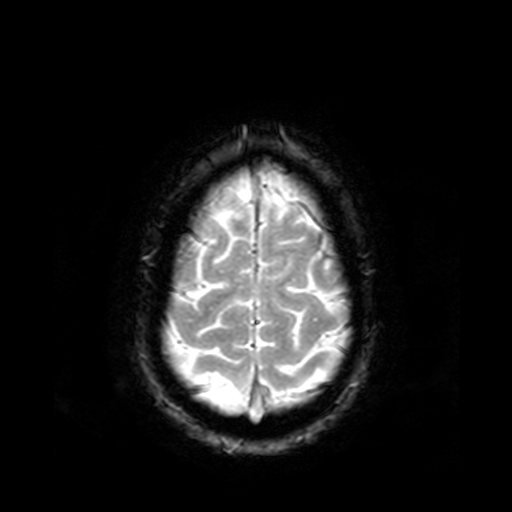
modality: 3 Tesla brain MRI
series: T2-weighted fast field echo
study: ring-enhancing brain masses